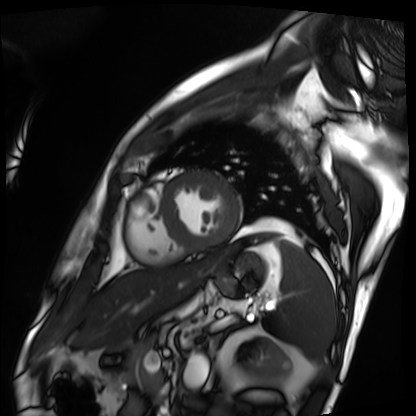
Case:
– modality · cardiac MRI
– subject group · patient